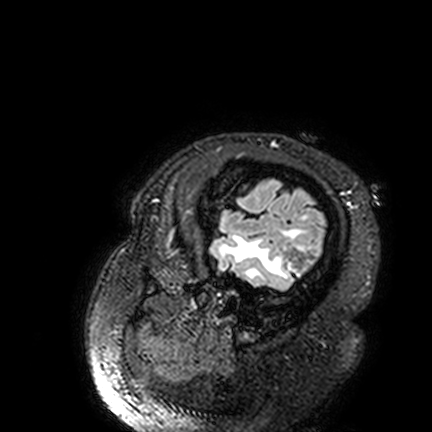
modality: 3 Tesla brain MRI | series: FLAIR VISTA | study: ring-enhancing brain masses.